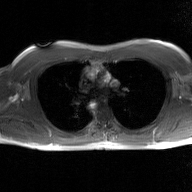
<record>
  <modality>
    <type>2D phase-contrast cine MRI</type>
    <region>ascending aorta</region>
    <reconstruction>GAN super-resolution reconstruction</reconstruction>
  </modality>
</record>